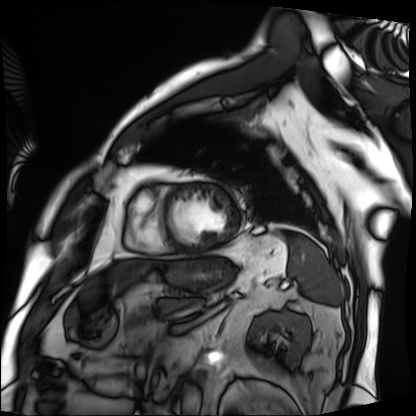
modality: cardiac MRI
cohort: patient